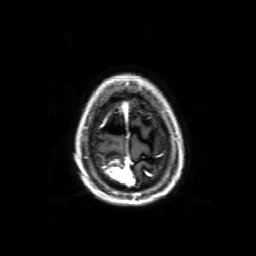
modality: 3 Tesla brain MRI | series: 3D T1-weighted with SENSE | study: ring-enhancing brain masses.